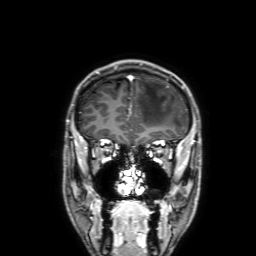
Case summary:
3 Tesla brain MRI. Study: ring-enhancing brain masses.